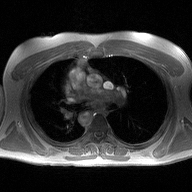
2D phase-contrast cine MRI of the ascending aorta, high-resolution GRAPPA acquisition.